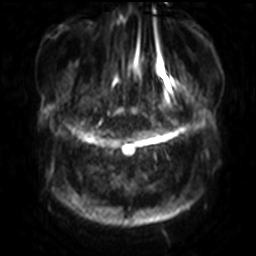
<scan>
<modality>
  <type>brain MRI</type>
  <field_strength>3T</field_strength>
</modality>
<series>diffusion-weighted imaging with SENSE (WIP)</series>
<study_topic>ring-enhancing brain masses</study_topic>
</scan>